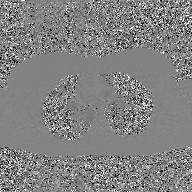
modality=2D phase-contrast cine MRI of the ascending aorta, GAN super-resolution reconstruction.